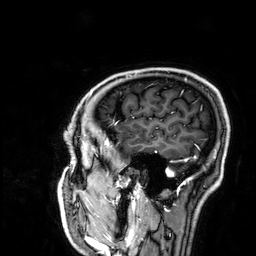
{
  "modality": {
    "type": "brain MRI",
    "field_strength": "3T"
  },
  "series": "3D T1-weighted",
  "study_topic": "ring-enhancing brain masses"
}